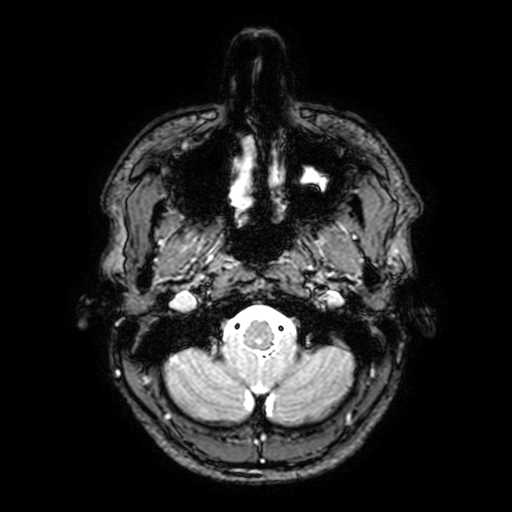
Summary:
3 Tesla brain MRI. Series: T2-weighted fast field echo with SENSE. Study: ring-enhancing brain masses.